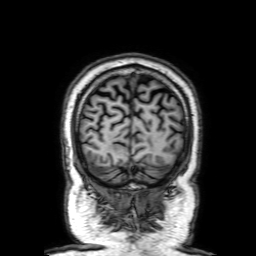
– modality — 3 Tesla brain MRI
– series — 3D T1-weighted with SENSE
– study — ring-enhancing brain masses